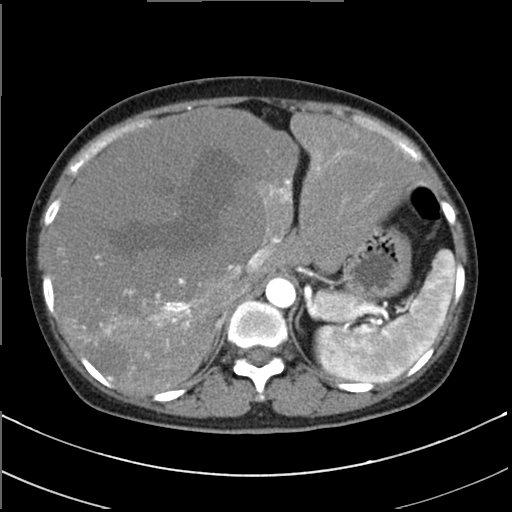
Clinical context:
Multiphase abdominal CT, liver, arterial phase. Patient: female, age 48.